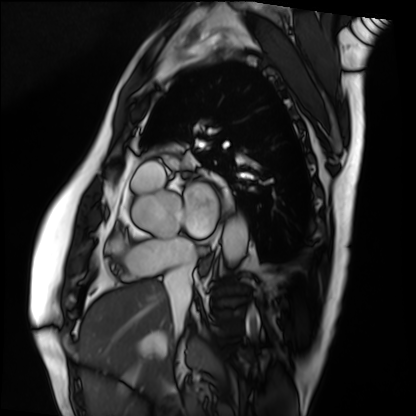
Cardiac MRI.
Subject group: patient.